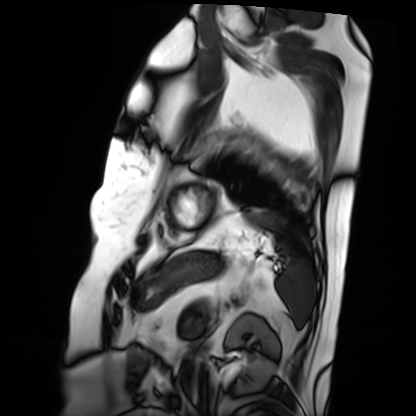
• modality: cardiac MRI
• subject group: patient